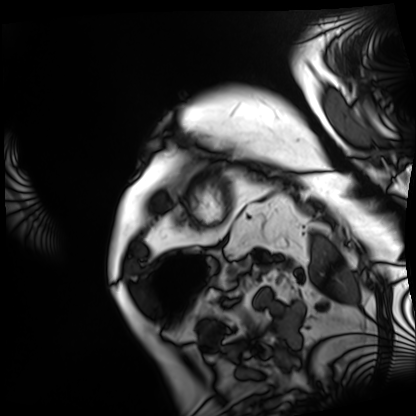
Cardiac MRI. Subject group: patient.